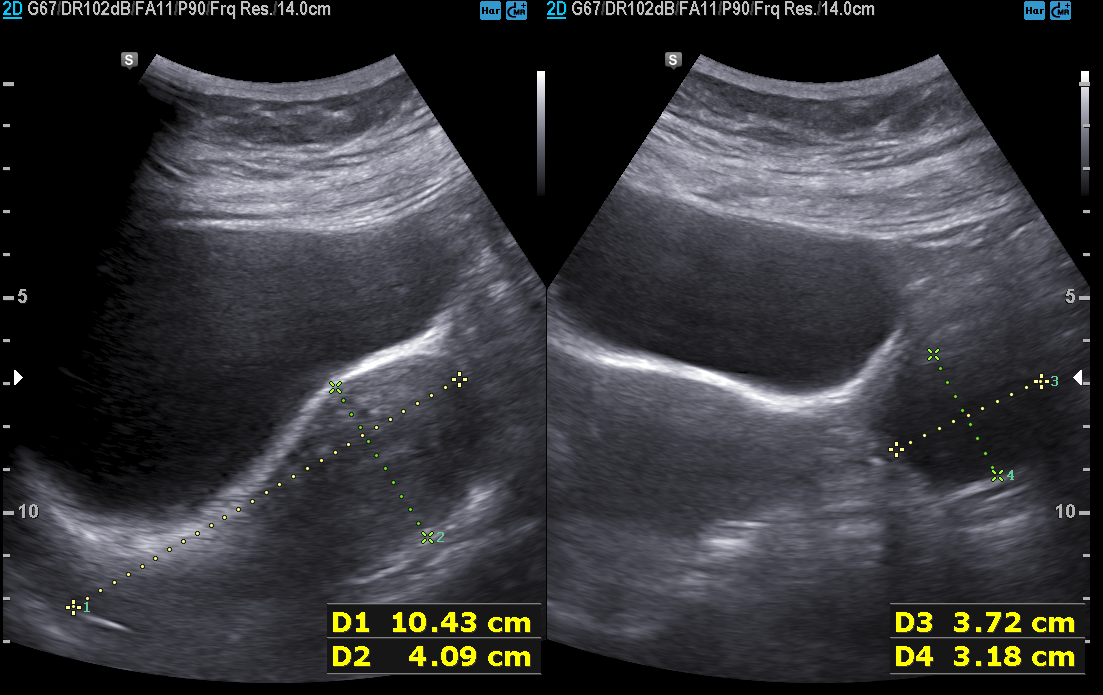
modality: genitourinary ultrasound